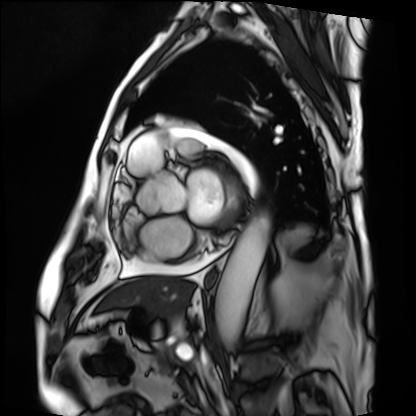
Cardiac MRI.
Subject group: patient.